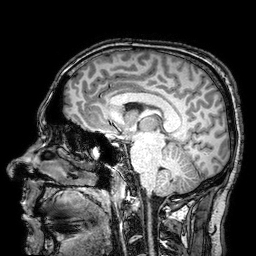
Case summary: 3 Tesla brain MRI. Series: 3D T1-weighted turbo field echo with SENSE. Study: ring-enhancing brain masses.